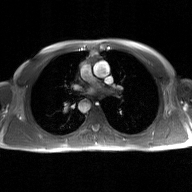
modality:
  type: 2D phase-contrast cine MRI
  region: ascending aorta
  reconstruction: GAN super-resolution reconstruction